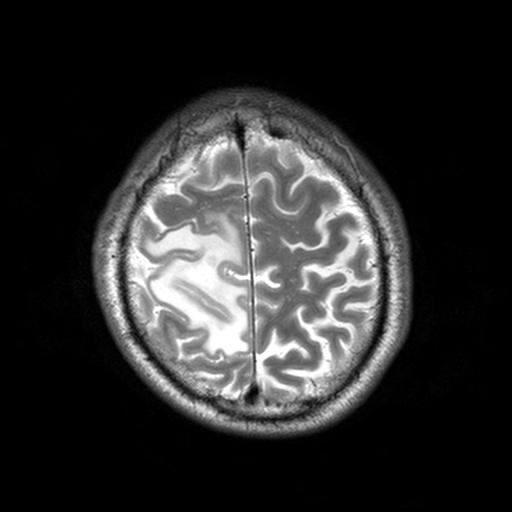
3 Tesla brain MRI. Series: T2-weighted turbo spin echo, 3 mm. Study: ring-enhancing brain masses.